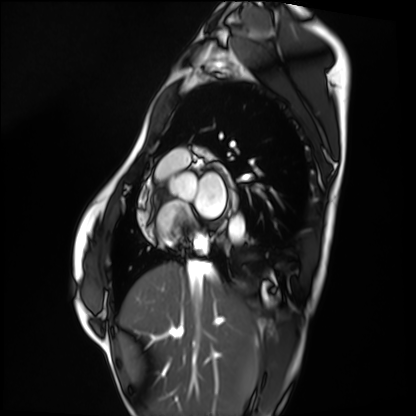
modality — cardiac MRI; subject group — healthy volunteer.